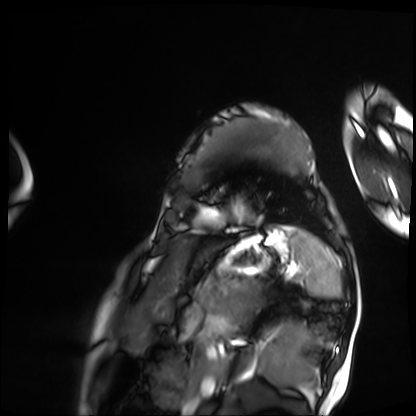
* modality: cardiac MRI
* subject group: patient